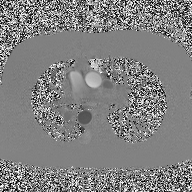
modality — 2D phase-contrast cine MRI of the ascending aorta